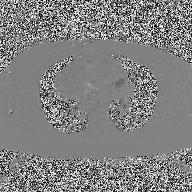
Q: What kind of scan is this?
A: 2D phase-contrast cine MRI of the ascending aorta.